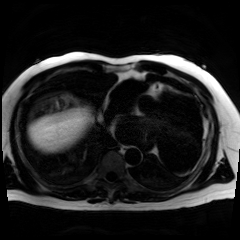
Summary:
Chemical-shift-encoded cardiac MRI.